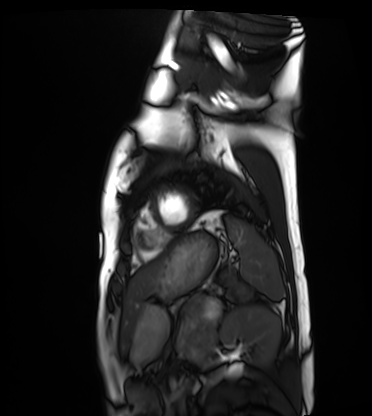
Cardiac MRI.
Subject group: healthy volunteer.